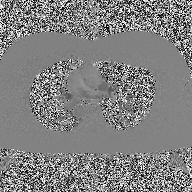
* modality: 2D phase-contrast cine MRI of the ascending aorta